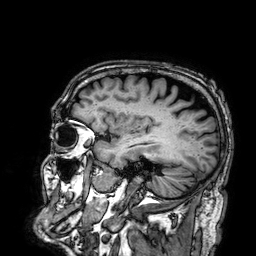
modality: 3 Tesla brain MRI; series: 3D T1-weighted; study: ring-enhancing brain masses.